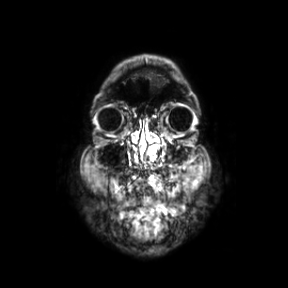
3 Tesla brain MRI.
Series: coronal.
Study: ring-enhancing brain masses.